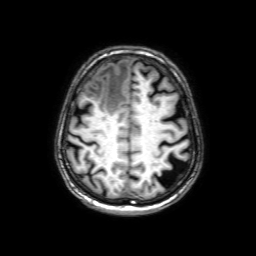
modality: 3 Tesla brain MRI; series: 3D T1-weighted with SENSE; study: ring-enhancing brain masses.